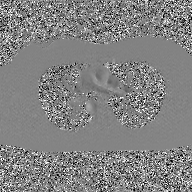
2D phase-contrast cine MRI of the ascending aorta, GAN super-resolution reconstruction.